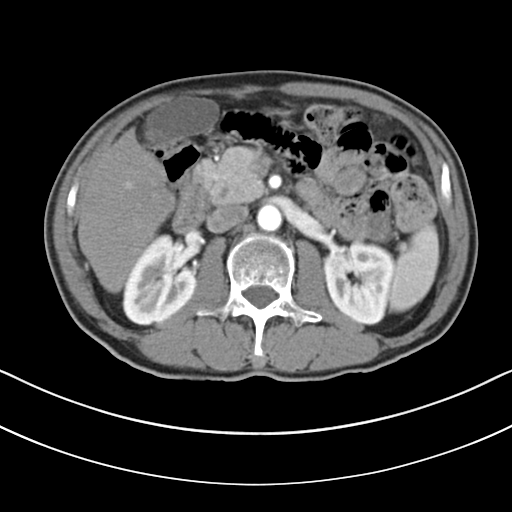
• modality: multiphase abdominal CT, liver, arterial phase
• patient: male, age 69